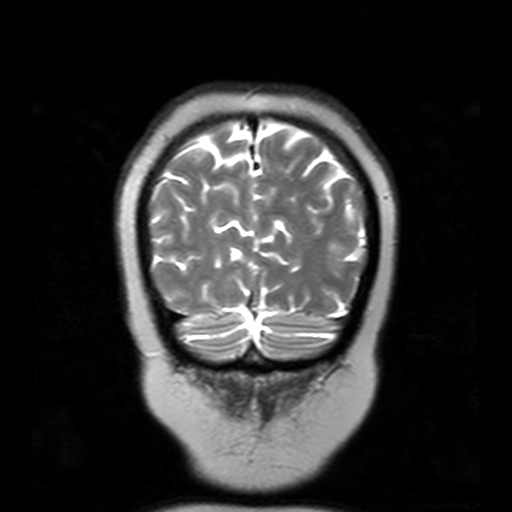
* modality — 3 Tesla brain MRI
* series — T2-weighted turbo spin echo with SENSE
* study — ring-enhancing brain masses